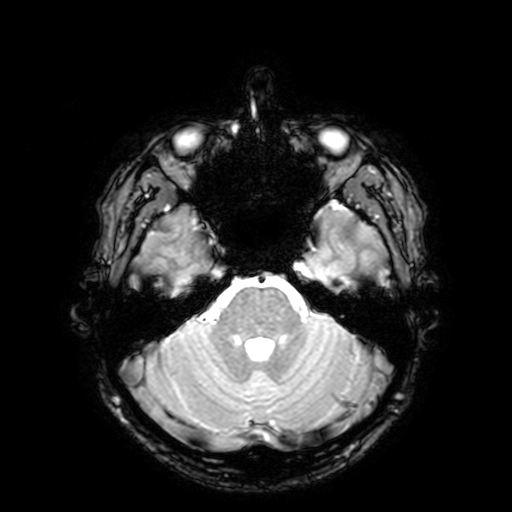
– modality: 3 Tesla brain MRI
– series: T2-weighted fast field echo with SENSE
– study: ring-enhancing brain masses